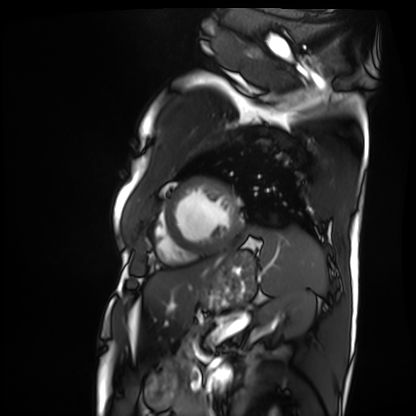
Summary:
Cardiac MRI. Subject group: patient.